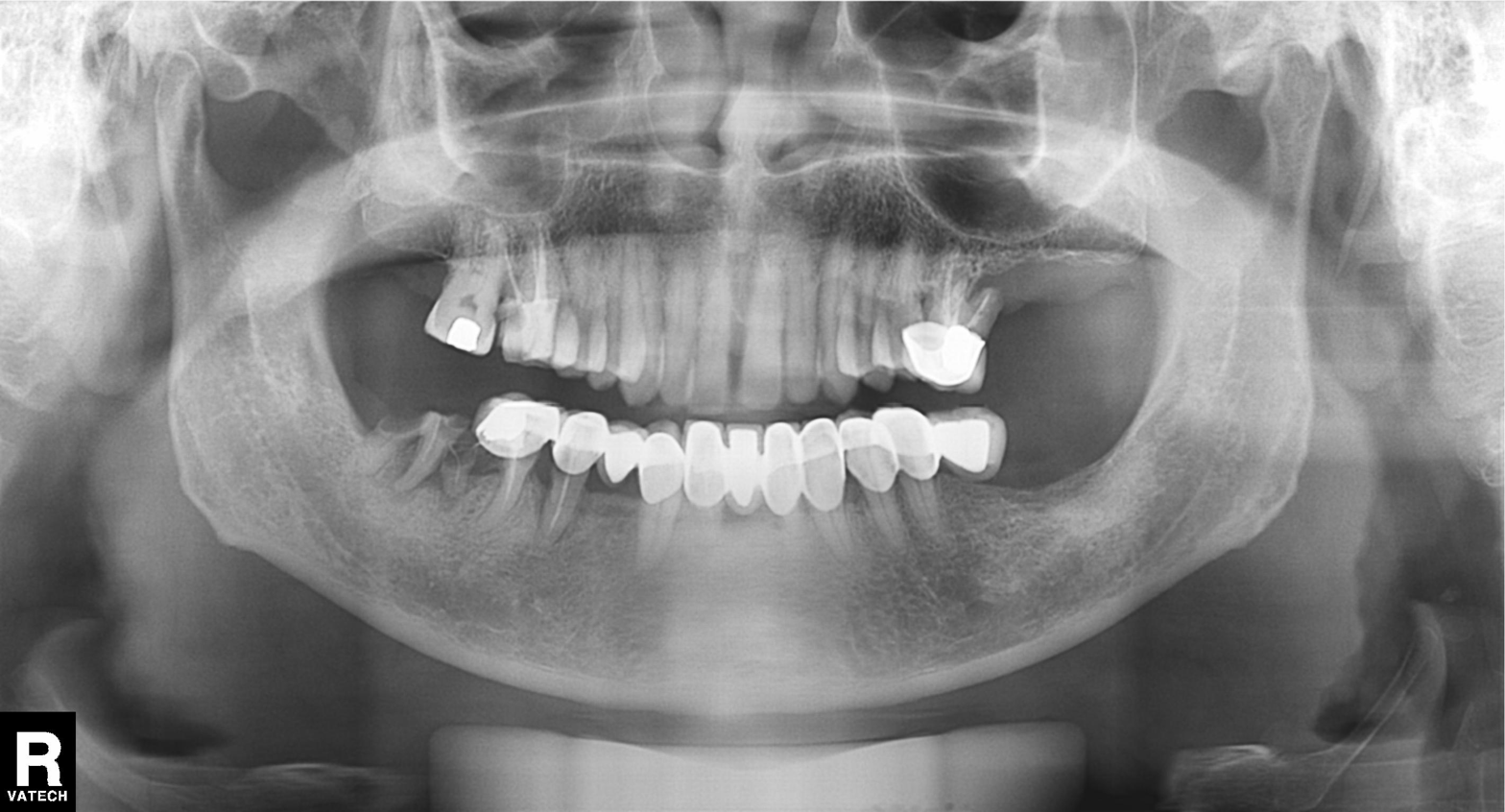
| field | value |
|---|---|
| modality | panoramic dental radiograph (orthopantomogram) |
| finding | alveolar bone loss |